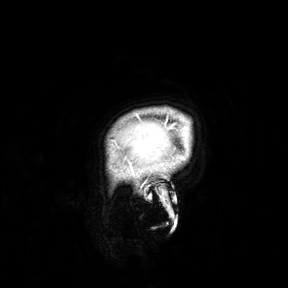
Case:
* modality: 3 Tesla brain MRI
* study: ring-enhancing brain masses